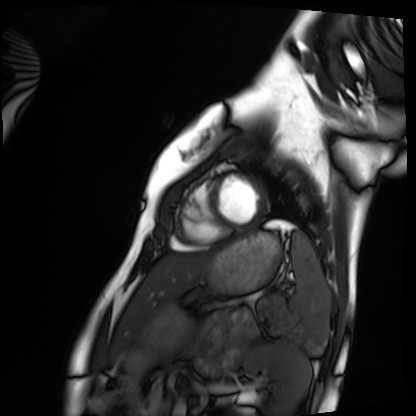
Case summary:
Cardiac MRI. Subject group: healthy volunteer.